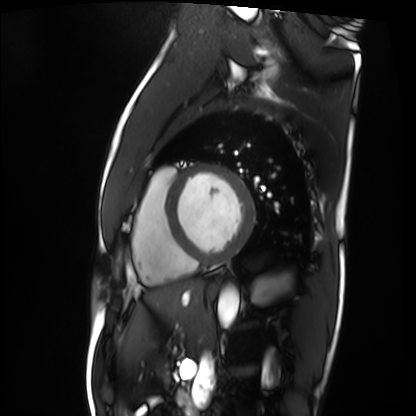
Q: What kind of scan is this?
A: Cardiac MRI.
Subject group: patient.